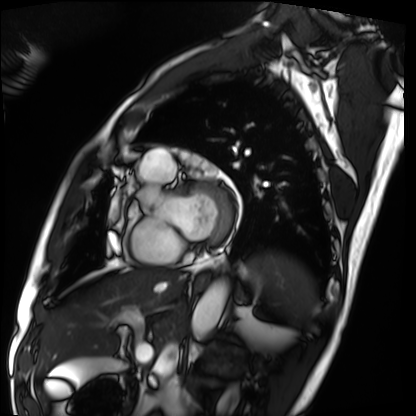
- modality — cardiac MRI
- subject group — patient